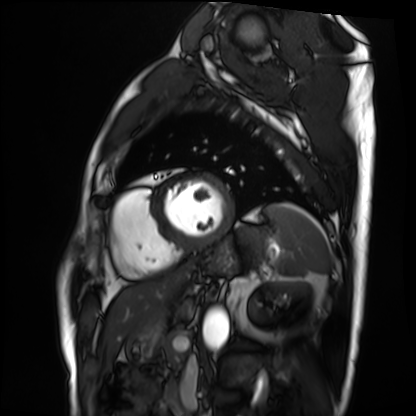
Cardiac MRI. Subject group: patient.